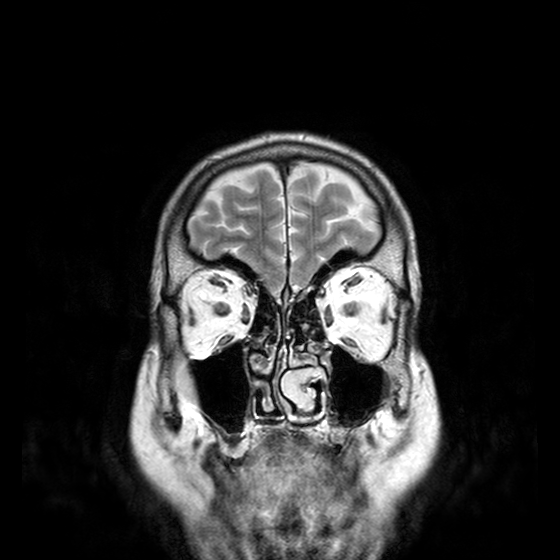
3 Tesla brain MRI.
Series: T2-weighted turbo spin echo with CLEAR.
Study: ring-enhancing brain masses.